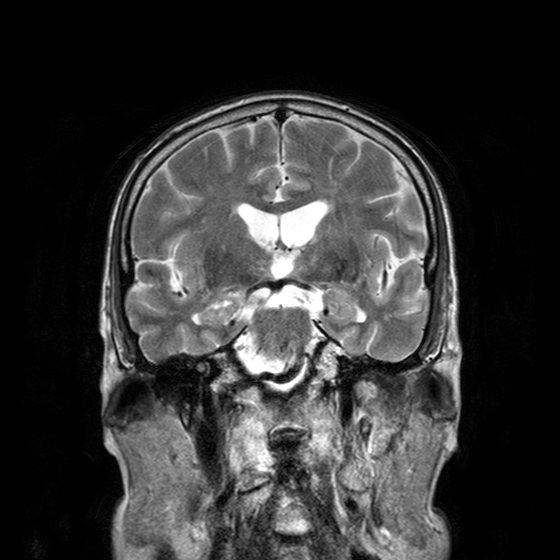
3 Tesla brain MRI.
Series: T2-weighted turbo spin echo with CLEAR.
Study: ring-enhancing brain masses.